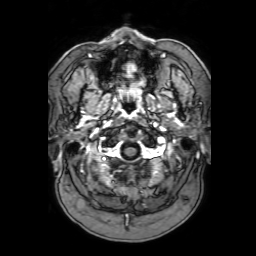
Q: What kind of scan is this?
A: 3 Tesla brain MRI.
Q: Series?
A: 3D T1-weighted with SENSE.
Study: ring-enhancing brain masses.